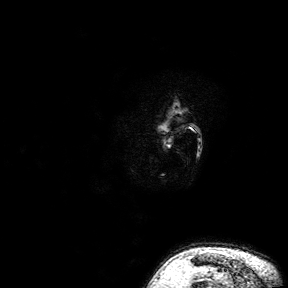
modality: 3 Tesla brain MRI
series: 3D T1-weighted turbo field echo with SENSE
study: ring-enhancing brain masses